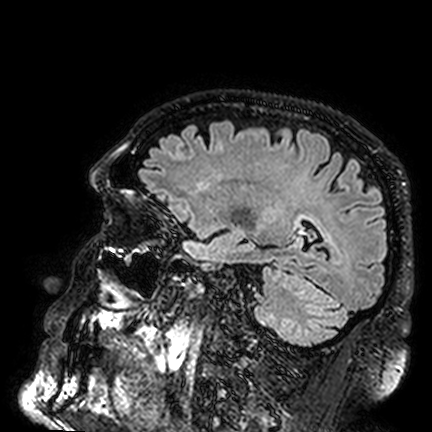
modality = 3 Tesla brain MRI | series = FLAIR VISTA | study = ring-enhancing brain masses.